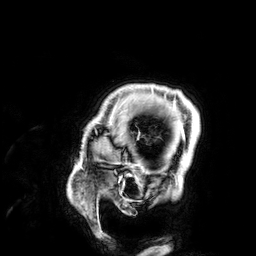
Q: What kind of scan is this?
A: 3 Tesla brain MRI.
Study: ring-enhancing brain masses.